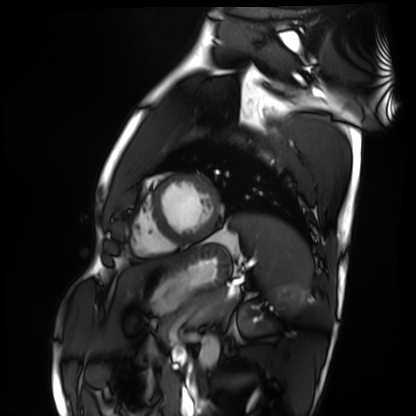
Cardiac MRI.
Subject group: healthy volunteer.